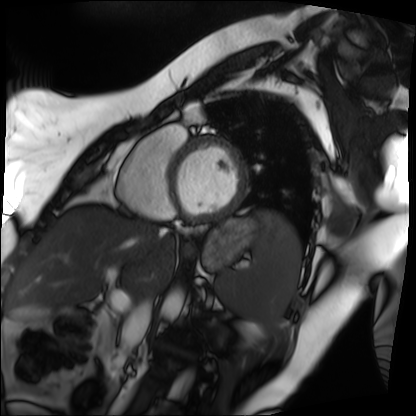
Clinical context:
Cardiac MRI. Subject group: patient.